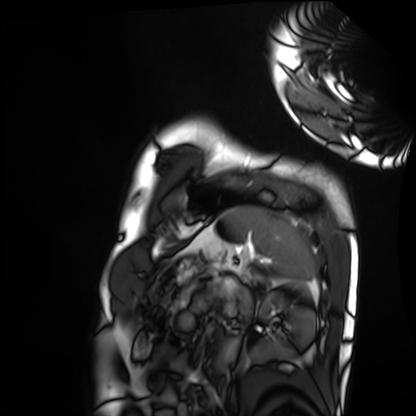
Cardiac MRI. Subject group: healthy volunteer.